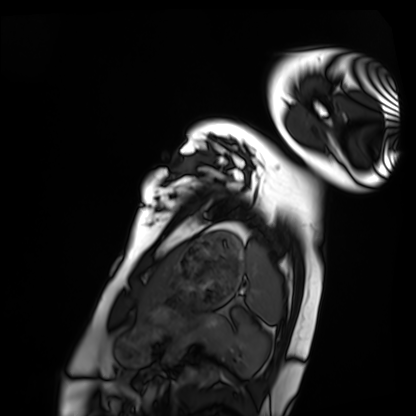
Clinical context: Cardiac MRI. Subject group: healthy volunteer.